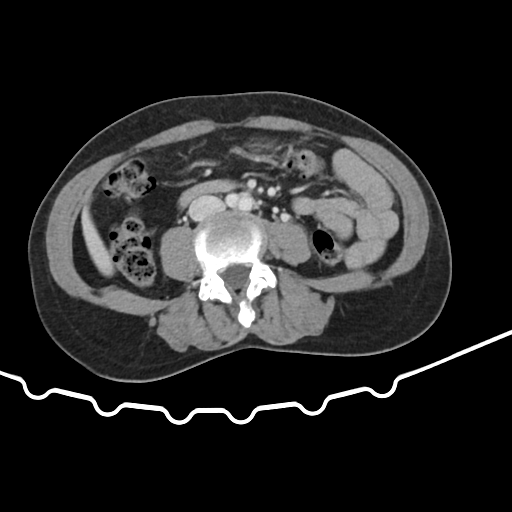
Summary:
Multiphase abdominal CT, liver, portal venous phase. Patient: female, age 48.